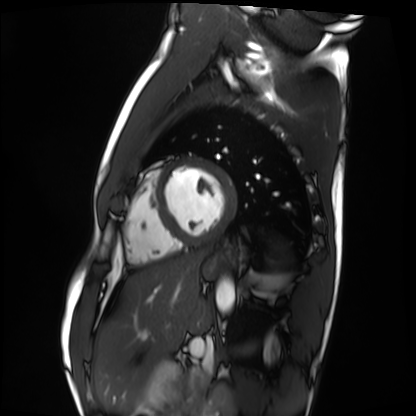
Cardiac MRI.
Subject group: healthy volunteer.